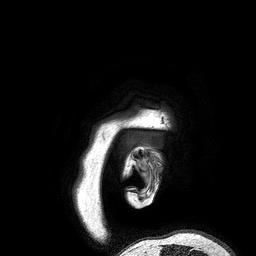
3 Tesla brain MRI.
Series: 3D T1-weighted turbo field echo.
Study: ring-enhancing brain masses.